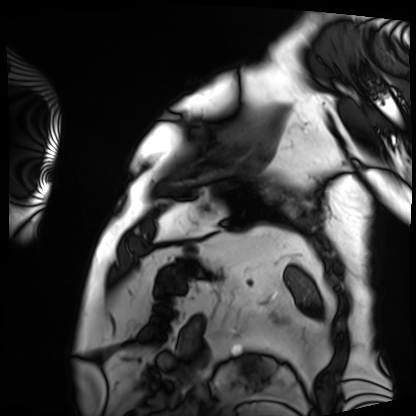
Case summary: Cardiac MRI. Subject group: patient.